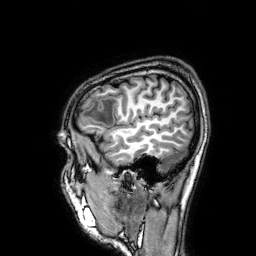
Clinical context:
3 Tesla brain MRI. Series: 3D T1-weighted. Study: ring-enhancing brain masses.